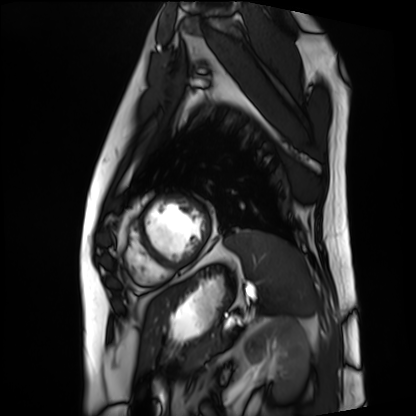
– modality — cardiac MRI
– subject group — patient